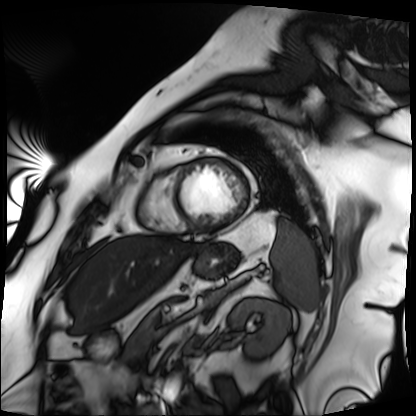
modality: cardiac MRI
cohort: patient